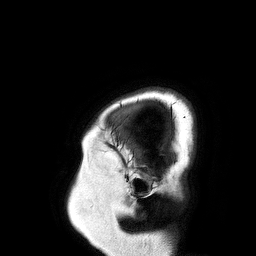
Q: What kind of scan is this?
A: 3 Tesla brain MRI.
Q: Series?
A: 3D T1-weighted turbo field echo.
Study: ring-enhancing brain masses.